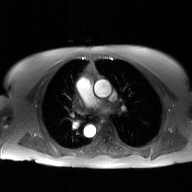
Q: What kind of scan is this?
A: 2D phase-contrast cine MRI of the ascending aorta, GAN super-resolution reconstruction.